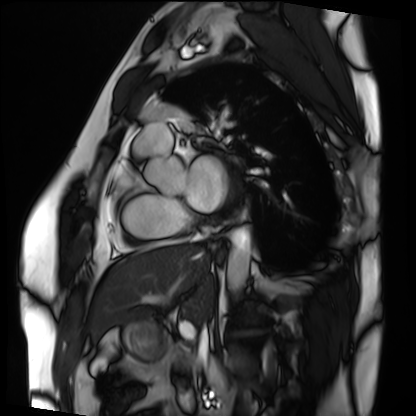
– modality: cardiac MRI
– subject group: patient